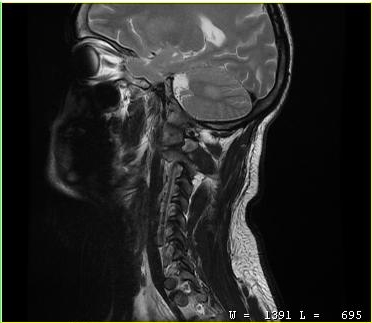
MRI of the cervical spine. Study: cervical spondylosis.